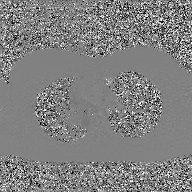
- modality: 2D phase-contrast cine MRI of the ascending aorta, GAN super-resolution reconstruction